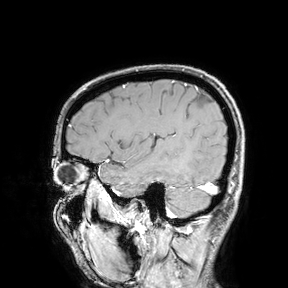
Summary:
3 Tesla brain MRI. Study: ring-enhancing brain masses.